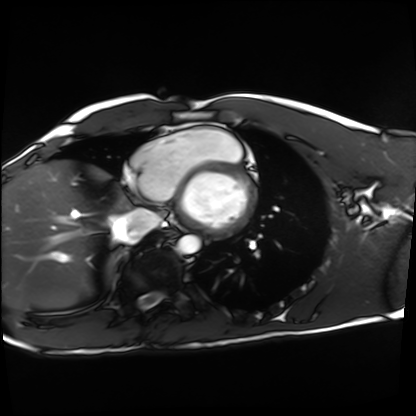
  modality: cardiac MRI
  cohort: healthy volunteer